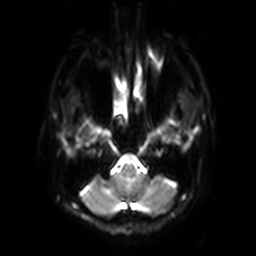
<case>
<modality>
  <type>brain MRI</type>
  <field_strength>3T</field_strength>
</modality>
<series>diffusion-weighted imaging with SENSE (WIP)</series>
<study_topic>ring-enhancing brain masses</study_topic>
</case>